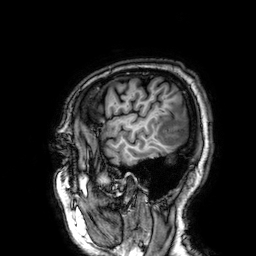
Case summary:
3 Tesla brain MRI. Series: 3D T1-weighted. Study: ring-enhancing brain masses.